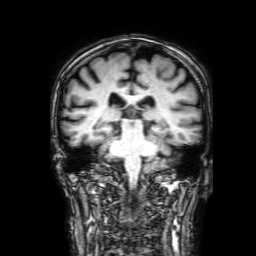
{"modality": {"type": "brain MRI", "field_strength": "3T"}, "study_topic": "ring-enhancing brain masses"}